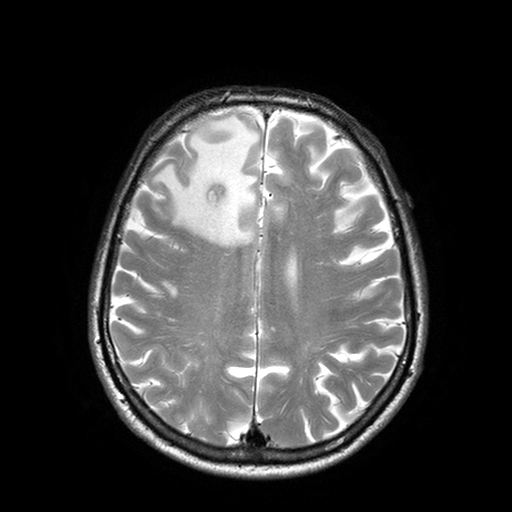
modality=3 Tesla brain MRI
series=T2-weighted turbo spin echo with SENSE
study=ring-enhancing brain masses